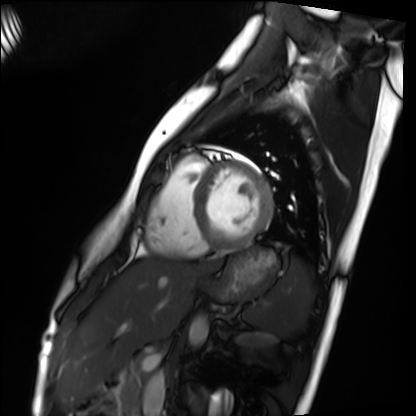
– modality — cardiac MRI
– subject group — healthy volunteer